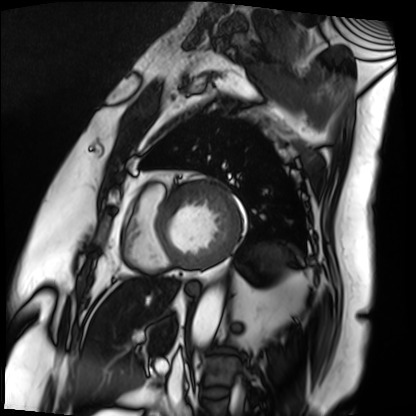
Case summary:
Cardiac MRI. Subject group: patient.